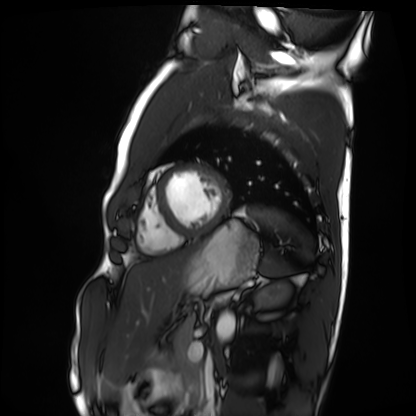
Cardiac MRI. Subject group: healthy volunteer.